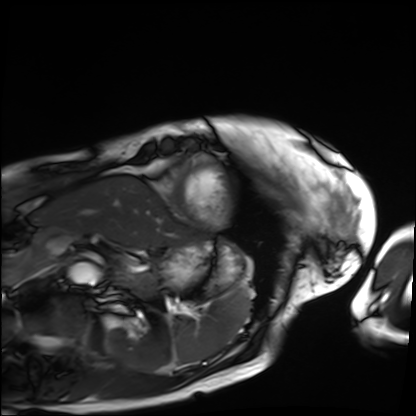
Q: What kind of scan is this?
A: Cardiac MRI.
Subject group: patient.